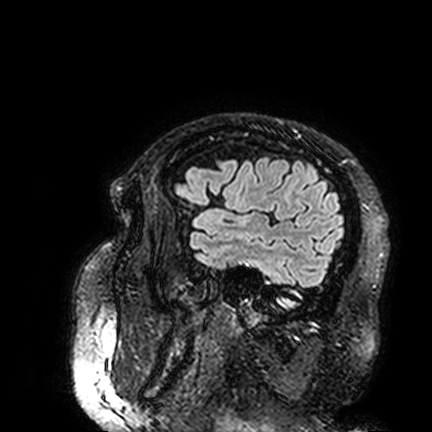
modality: 3 Tesla brain MRI; series: FLAIR VISTA; study: ring-enhancing brain masses.